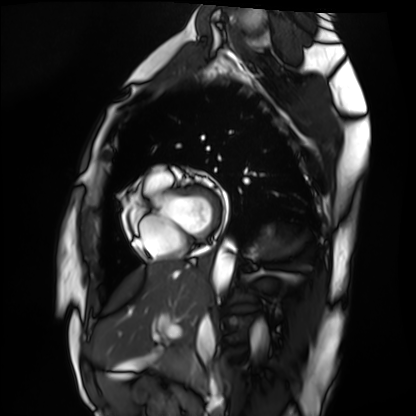
Cardiac MRI. Subject group: healthy volunteer.